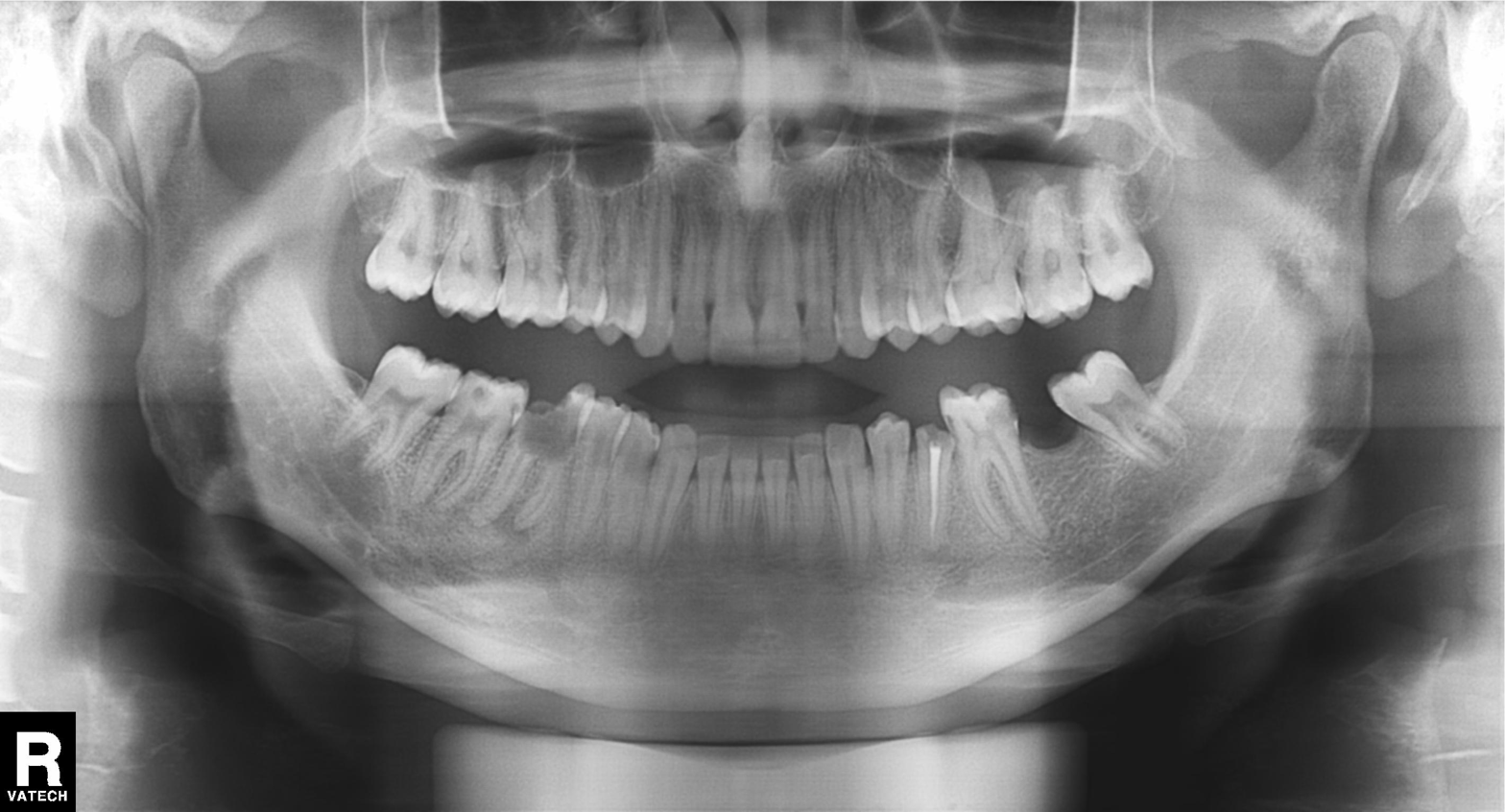
modality = panoramic dental radiograph (orthopantomogram), finding = alveolar bone loss.